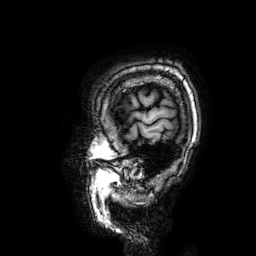
| field | value |
|---|---|
| modality | 3 Tesla brain MRI |
| series | 3D T1-weighted |
| study | ring-enhancing brain masses |